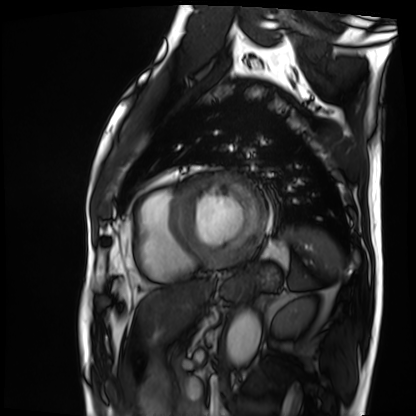
{
  "modality": "cardiac MRI",
  "cohort": "patient"
}